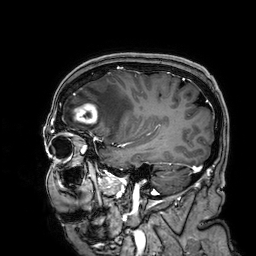
Case:
– modality — 3 Tesla brain MRI
– series — 3D T1-weighted
– study — ring-enhancing brain masses